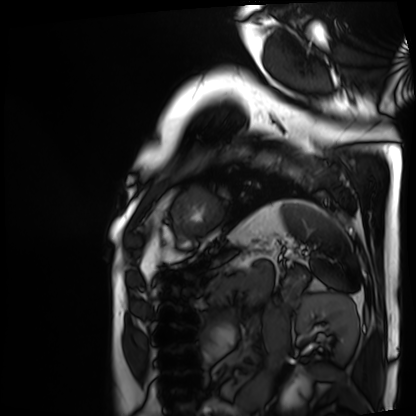
Q: What kind of scan is this?
A: Cardiac MRI.
Subject group: patient.